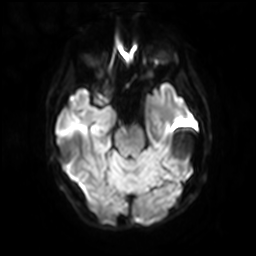
3 Tesla brain MRI.
Series: diffusion-weighted imaging with SENSE (WIP).
Study: ring-enhancing brain masses.